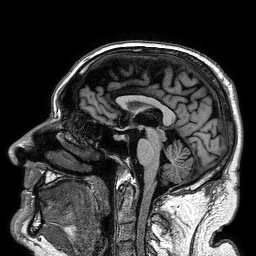
modality: 3 Tesla brain MRI
study: ring-enhancing brain masses